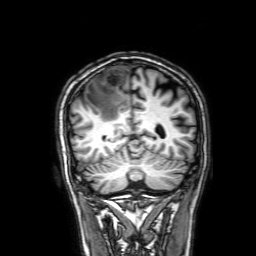
3 Tesla brain MRI. Series: 3D T1-weighted with SENSE. Study: ring-enhancing brain masses.